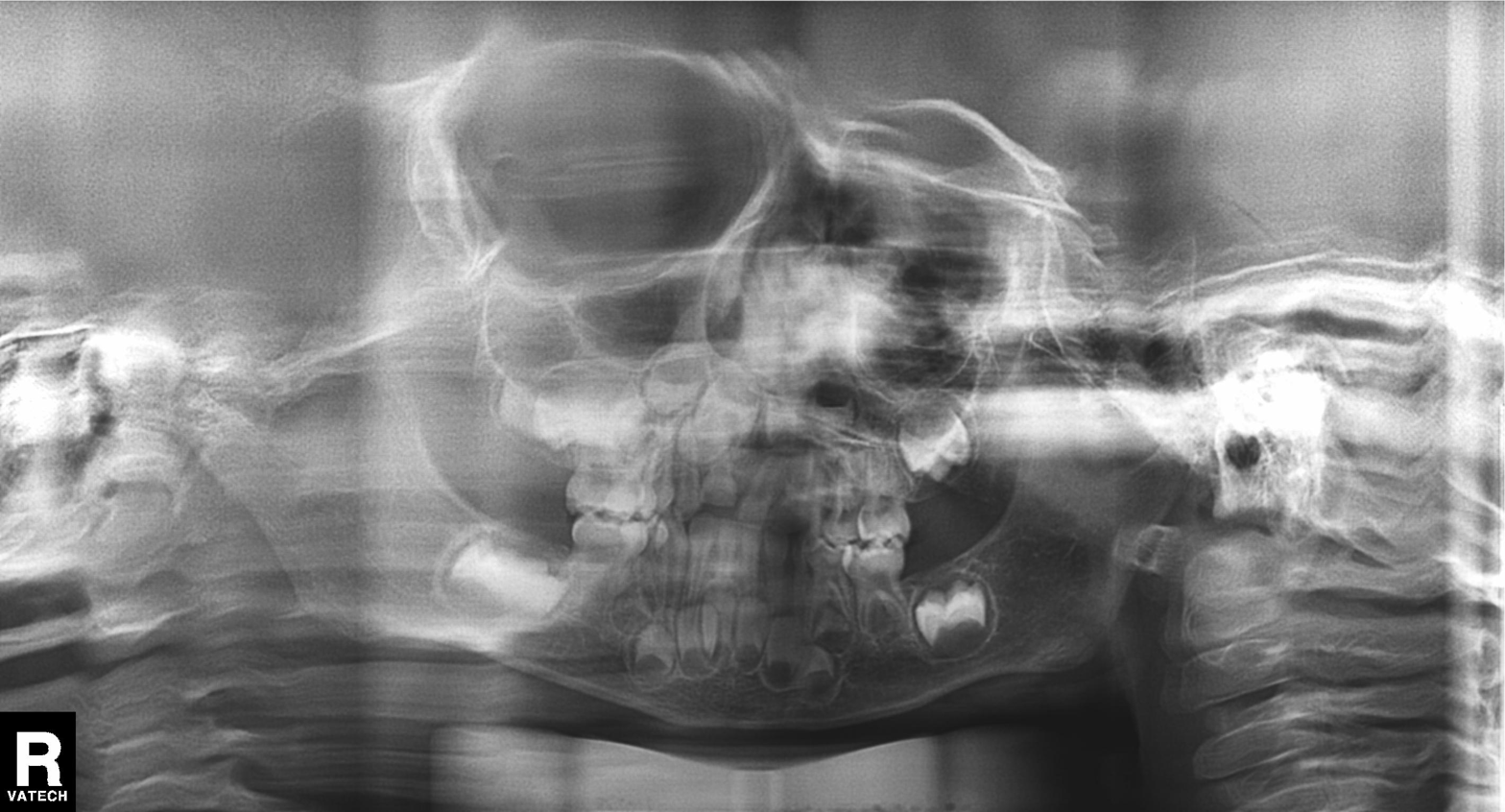
| field | value |
|---|---|
| modality | panoramic dental radiograph (orthopantomogram) |
| finding | alveolar bone loss |